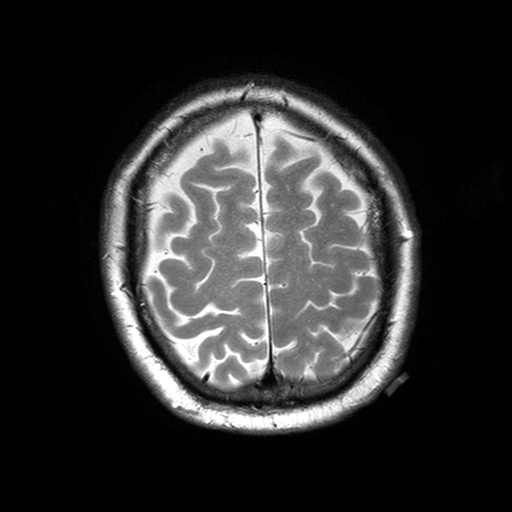
{
  "modality": {
    "type": "brain MRI",
    "field_strength": "3T"
  },
  "series": "T2-weighted turbo spin echo with SENSE",
  "study_topic": "ring-enhancing brain masses"
}